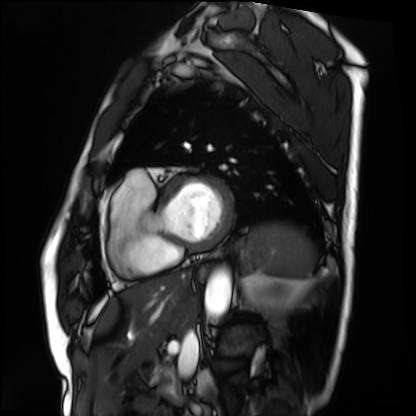
{"modality": "cardiac MRI", "cohort": "patient"}